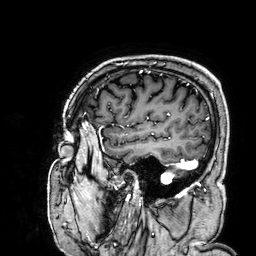
Case summary: 3 Tesla brain MRI. Series: 3D T1-weighted. Study: ring-enhancing brain masses.